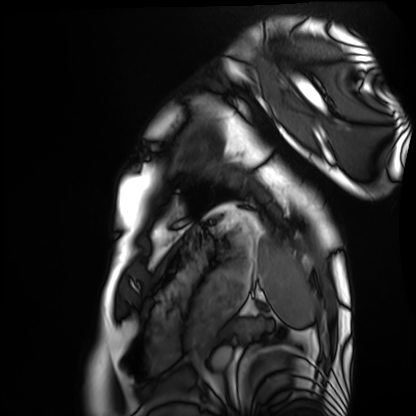
Clinical context:
Cardiac MRI. Subject group: healthy volunteer.